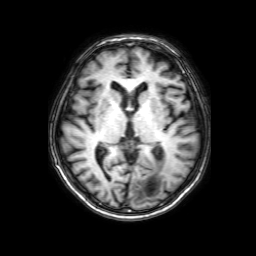
Q: What kind of scan is this?
A: 3 Tesla brain MRI.
Q: Series?
A: 3D T1-weighted with SENSE.
Study: ring-enhancing brain masses.